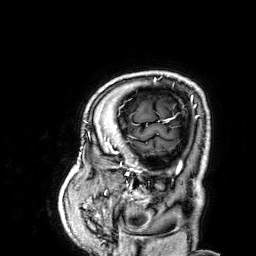
3 Tesla brain MRI. Series: 3D T1-weighted. Study: ring-enhancing brain masses.